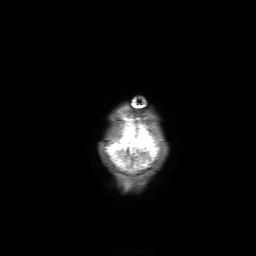
Clinical context:
3 Tesla brain MRI. Series: 3D T1-weighted with SENSE. Study: ring-enhancing brain masses.